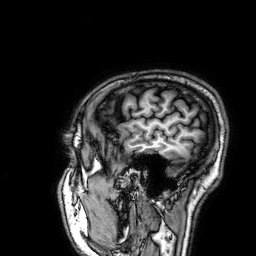
3 Tesla brain MRI.
Series: 3D T1-weighted.
Study: ring-enhancing brain masses.